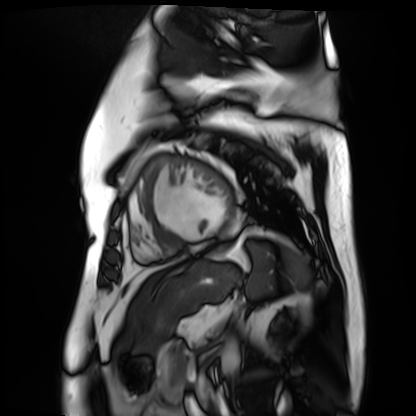
Q: What kind of scan is this?
A: Cardiac MR image of the myocardium.
Subject cohort: cardiac patient.